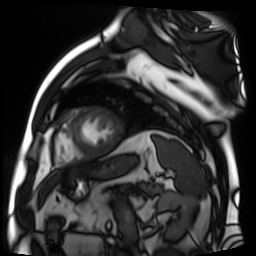
{"modality": "cardiac MR image of the myocardium", "cohort": "cardiac patient"}